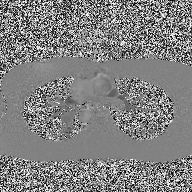
modality:
  type: 2D phase-contrast cine MRI
  region: ascending aorta
  reconstruction: high-resolution GRAPPA acquisition